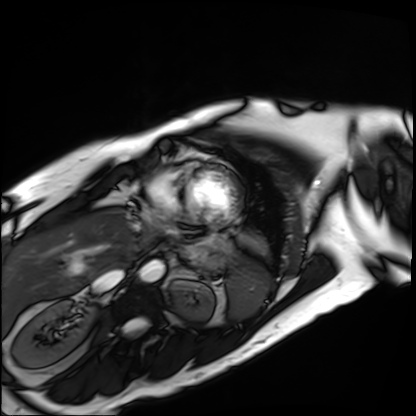
Q: What kind of scan is this?
A: Cardiac MRI.
Subject group: patient.